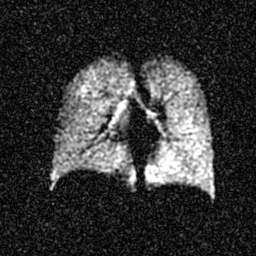
Case summary:
Hyperpolarized 129Xe ventilation MRI of the lungs. SNR level 4 of 8 (the deposit holds this scan as its native image and as seven SNR-degraded versions).